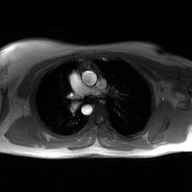
2D phase-contrast cine MRI of the ascending aorta, GAN super-resolution reconstruction.